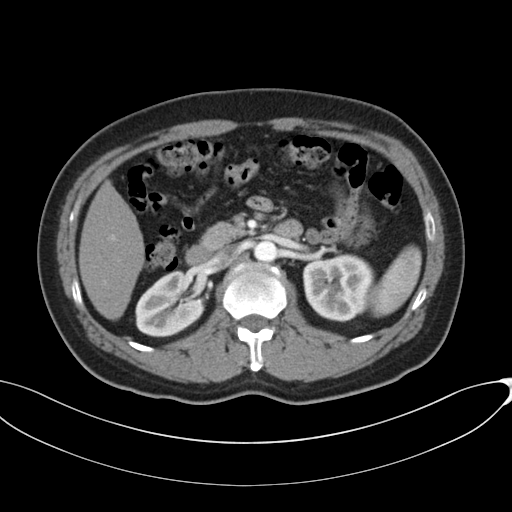
<record>
<modality>
  <type>multiphase abdominal CT</type>
  <region>liver</region>
  <phase>arterial</phase>
</modality>
</record>